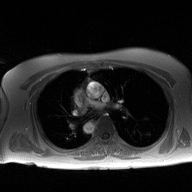
modality = 2D phase-contrast cine MRI of the ascending aorta.